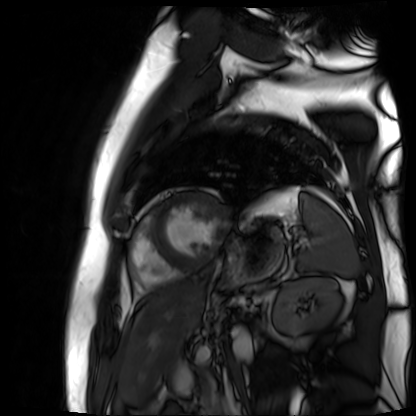
modality: cardiac MR image of the myocardium | subject cohort: cardiac patient.